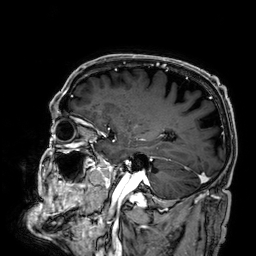
– modality — 3 Tesla brain MRI
– series — 3D T1-weighted
– study — ring-enhancing brain masses